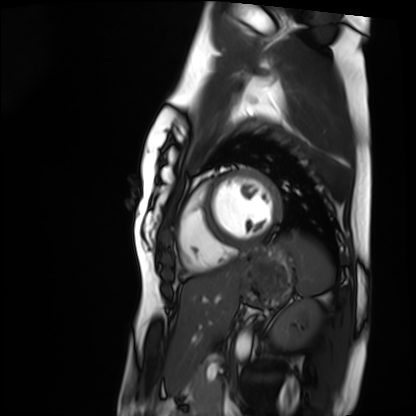
Cardiac MRI.
Subject group: healthy volunteer.